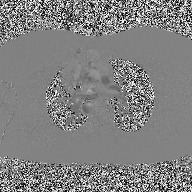
2D phase-contrast cine MRI of the ascending aorta, high-resolution GRAPPA acquisition.